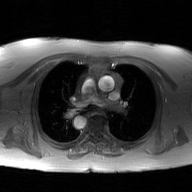
2D phase-contrast cine MRI of the ascending aorta, GAN super-resolution reconstruction.